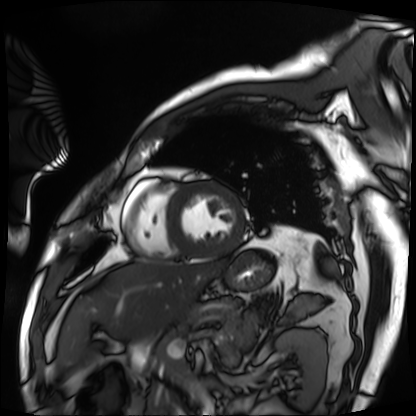
– modality — cardiac MRI
– subject group — patient